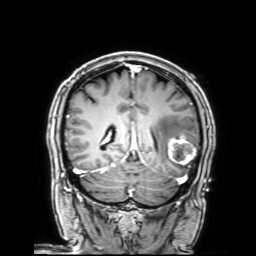
- modality: 3 Tesla brain MRI
- series: 3D T1-weighted with SENSE
- study: ring-enhancing brain masses